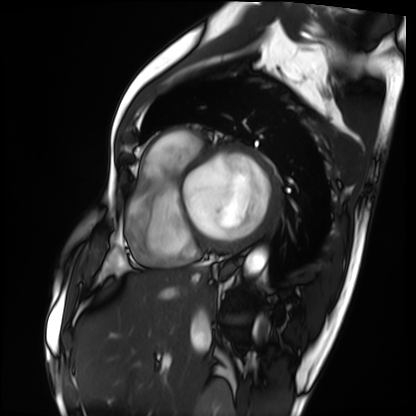
Q: What kind of scan is this?
A: Cardiac MRI.
Subject group: patient.